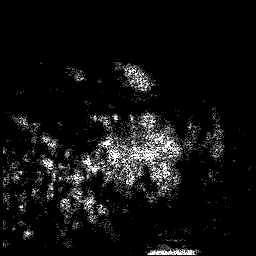
3 Tesla brain MRI.
Series: 3D T1-weighted.
Study: ring-enhancing brain masses.